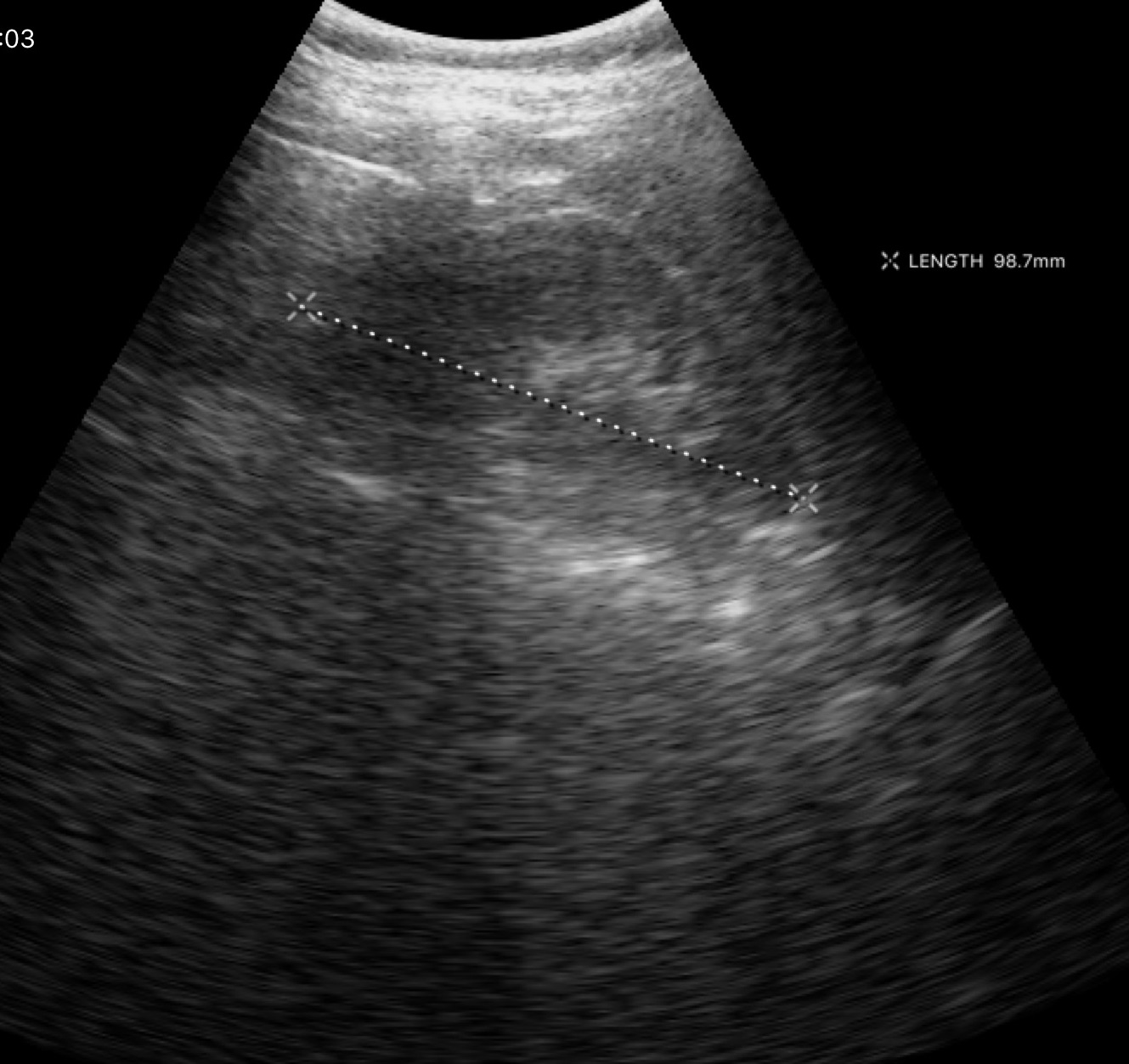
Genitourinary ultrasound.